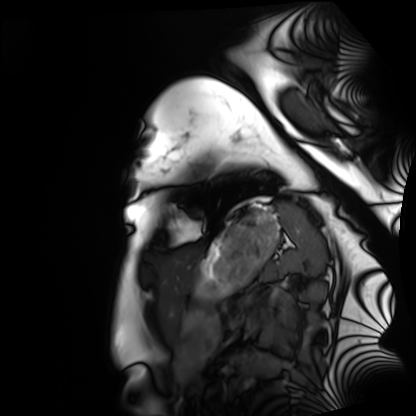
Cardiac MRI. Subject group: healthy volunteer.